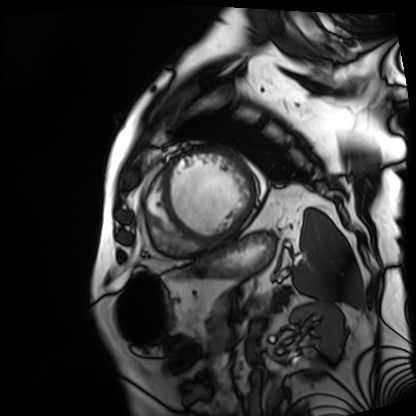
Summary: Cardiac MRI. Subject group: patient.